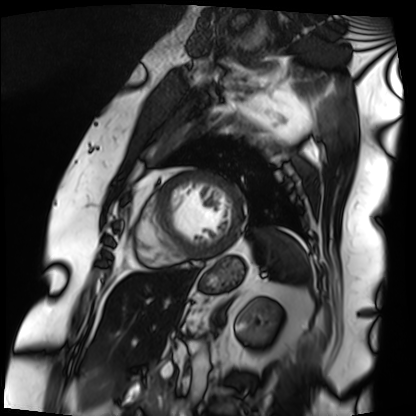
| field | value |
|---|---|
| modality | cardiac MRI |
| subject group | patient |